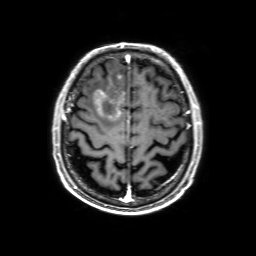
{"modality": {"type": "brain MRI", "field_strength": "3T"}, "series": "3D T1-weighted with SENSE", "study_topic": "ring-enhancing brain masses"}